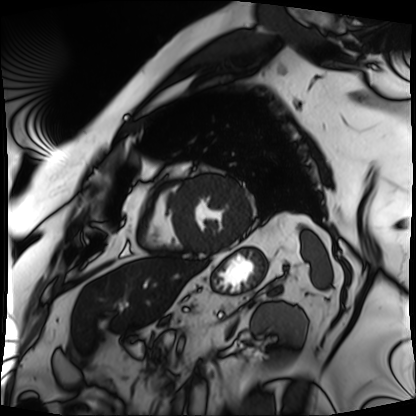
  modality: cardiac MRI
  cohort: patient